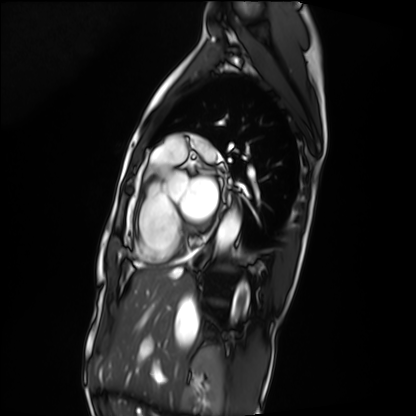
Cardiac MRI. Subject group: patient.